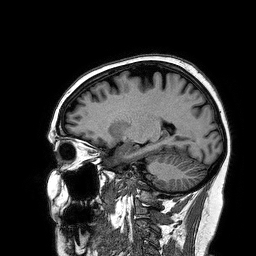
Summary:
3 Tesla brain MRI. Series: 3D T1-weighted turbo field echo. Study: ring-enhancing brain masses.